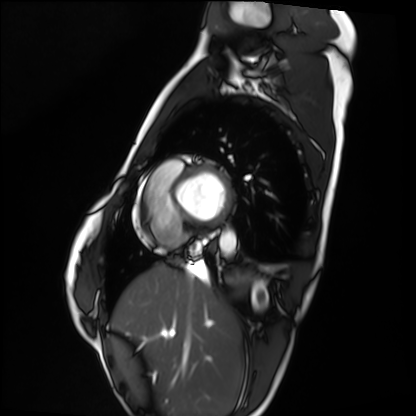
modality: cardiac MRI; subject group: healthy volunteer.